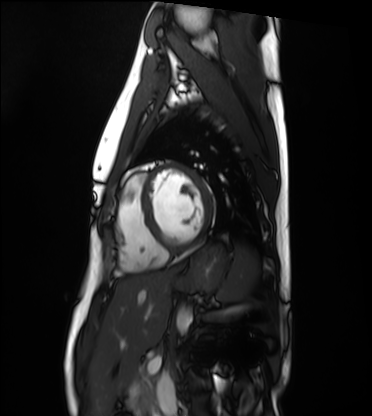
Summary:
Cardiac MRI. Subject group: healthy volunteer.